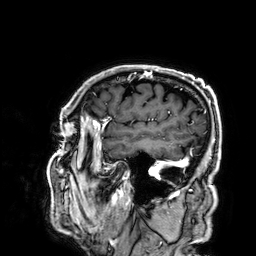
Summary:
3 Tesla brain MRI. Study: ring-enhancing brain masses.